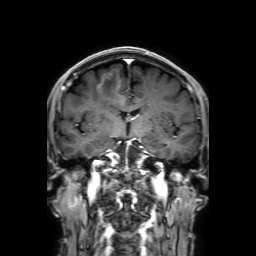
modality=3 Tesla brain MRI | series=3D T1-weighted with SENSE | study=ring-enhancing brain masses.